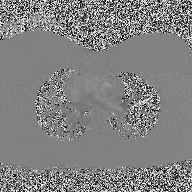
  modality:
    type: 2D phase-contrast cine MRI
    region: ascending aorta
    reconstruction: high-resolution GRAPPA acquisition